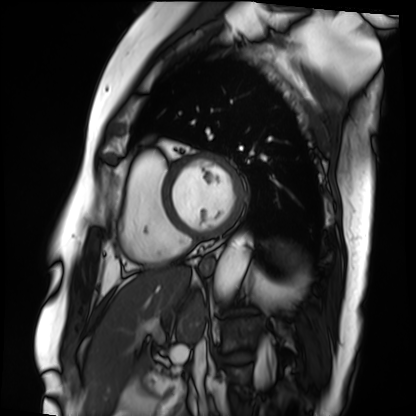
Cardiac MRI. Subject group: patient.